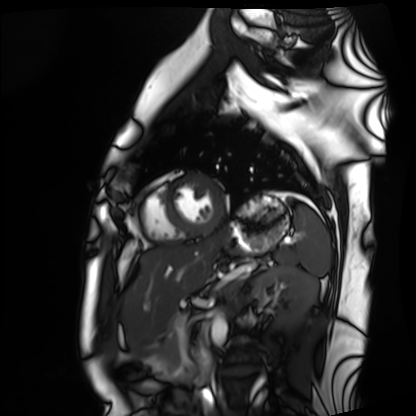
Q: What kind of scan is this?
A: Cardiac MRI.
Subject group: healthy volunteer.